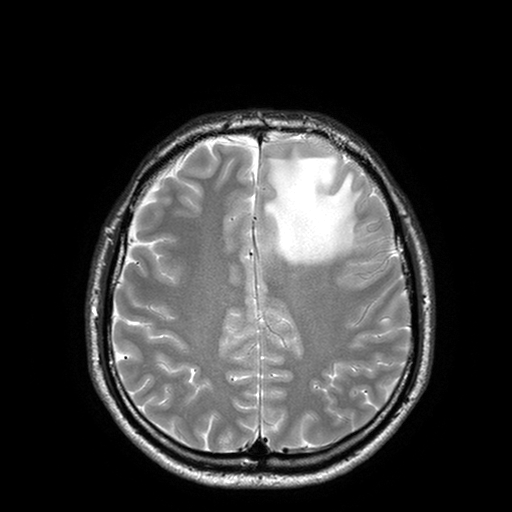
modality: 3 Tesla brain MRI; series: T2-weighted turbo spin echo with SENSE; study: ring-enhancing brain masses.